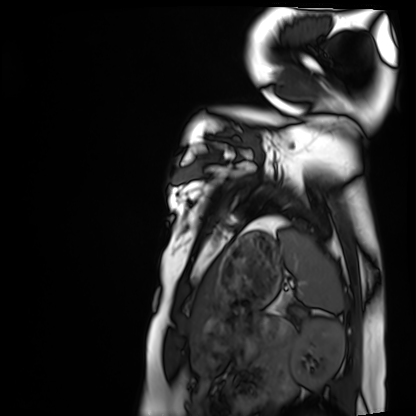
Cardiac MRI.
Subject group: healthy volunteer.